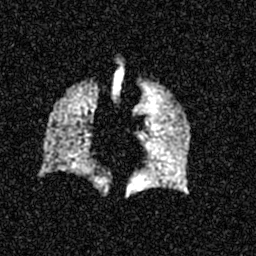
Summary: Hyperpolarized 129Xe ventilation MRI of the lungs. SNR level 5 of 8 (the deposit holds this scan as its native image and as seven SNR-degraded versions).